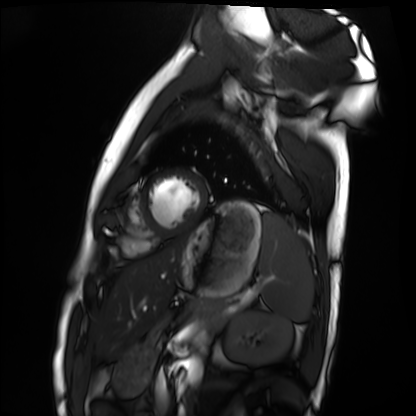
Cardiac MRI. Subject group: healthy volunteer.